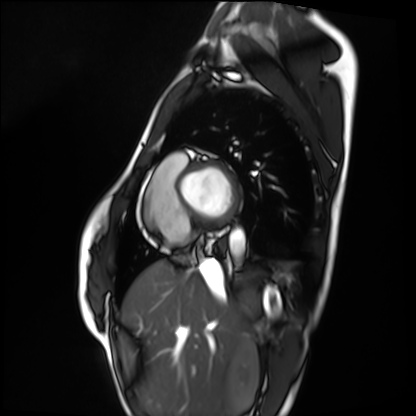
modality: cardiac MRI
cohort: healthy volunteer